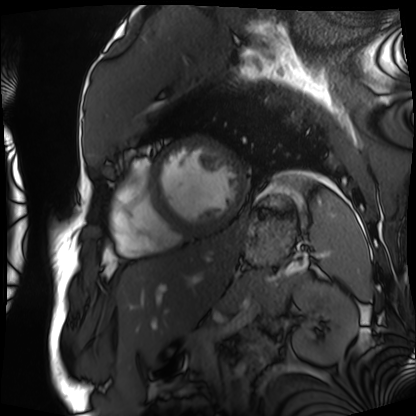
Clinical context: Cardiac MRI. Subject group: patient.